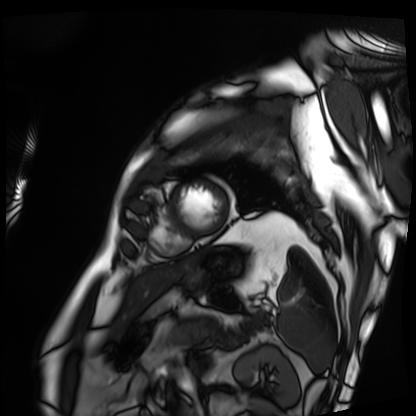
modality: cardiac MRI
cohort: patient